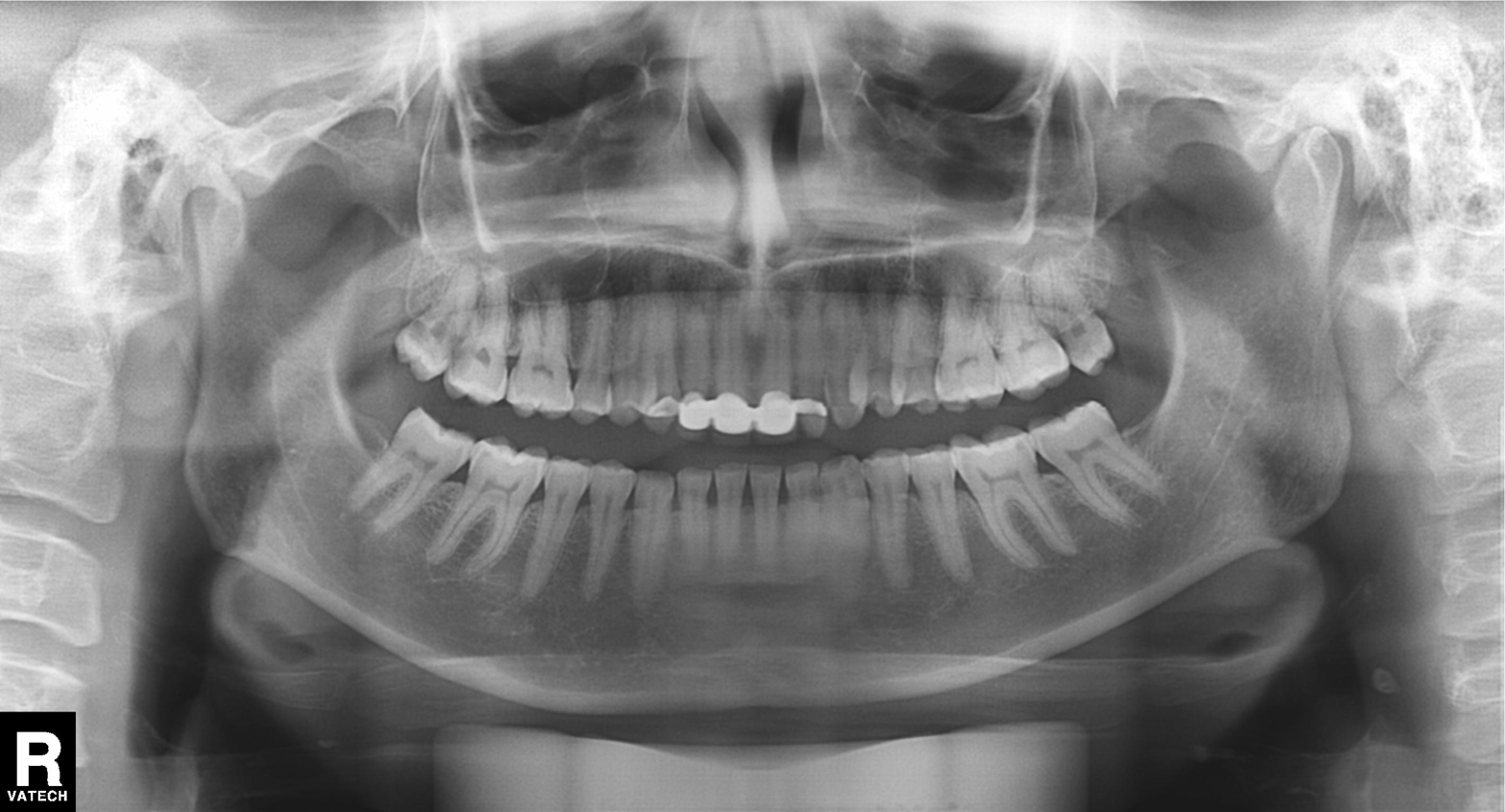
Findings:
- modality — panoramic dental radiograph (orthopantomogram)
- finding — dental caries (cavities)